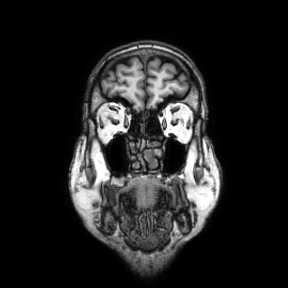
Case summary:
3 Tesla brain MRI. Series: coronal. Study: ring-enhancing brain masses.